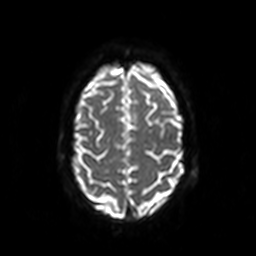
modality = 3 Tesla brain MRI
series = diffusion-weighted imaging
study = ring-enhancing brain masses